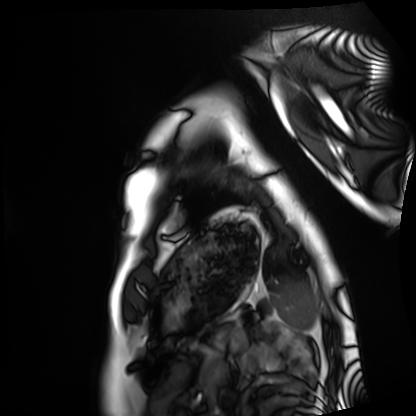
Cardiac MRI. Subject group: healthy volunteer.